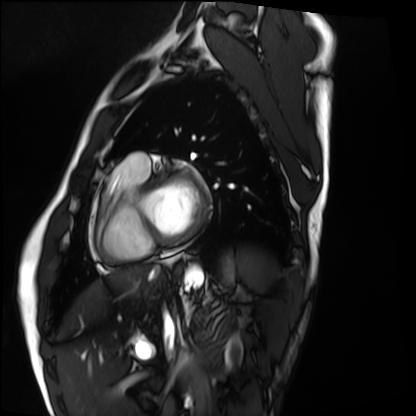
Summary:
Cardiac MRI. Subject group: healthy volunteer.